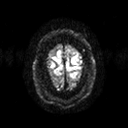
3 Tesla brain MRI.
Series: diffusion tensor imaging (medium iso).
Study: ring-enhancing brain masses.